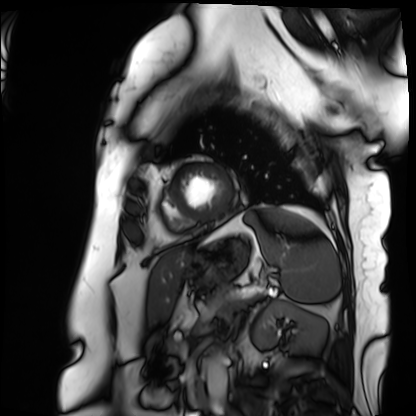
Cardiac MRI. Subject group: patient.